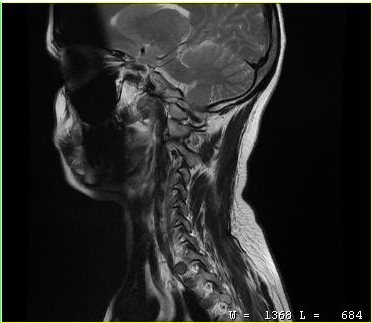
Summary: MRI of the cervical spine. Study: cervical spondylosis.